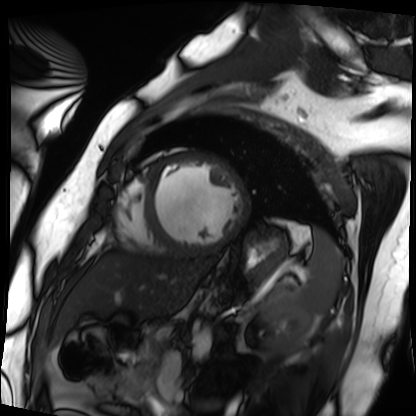
modality: cardiac MRI; subject group: patient.